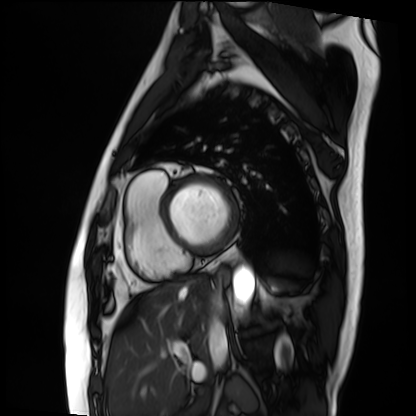
modality: cardiac MRI
cohort: patient